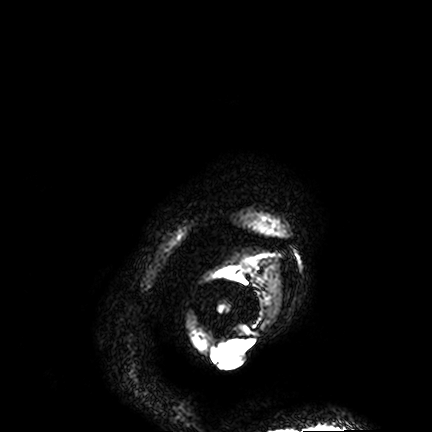
Case summary:
3 Tesla brain MRI. Series: FLAIR VISTA. Study: ring-enhancing brain masses.